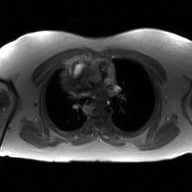
Summary: 2D phase-contrast cine MRI of the ascending aorta, GAN super-resolution reconstruction.